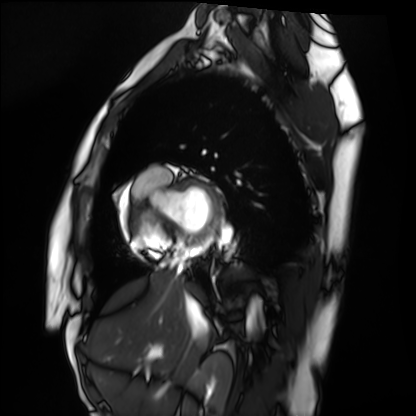
modality — cardiac MRI; subject group — healthy volunteer.